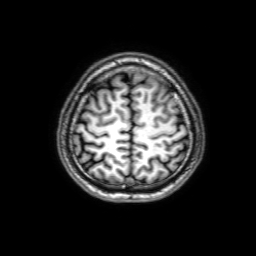
3 Tesla brain MRI. Series: 3D T1-weighted with SENSE. Study: ring-enhancing brain masses.